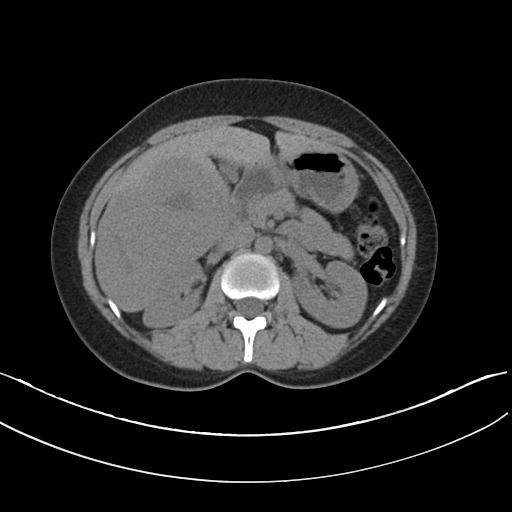
Summary:
Multiphase abdominal CT, liver, non-contrast phase.